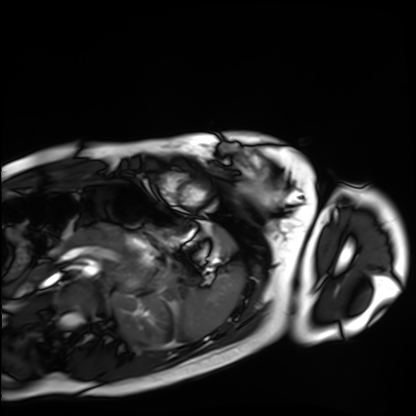
Q: What kind of scan is this?
A: Cardiac MRI.
Subject group: healthy volunteer.